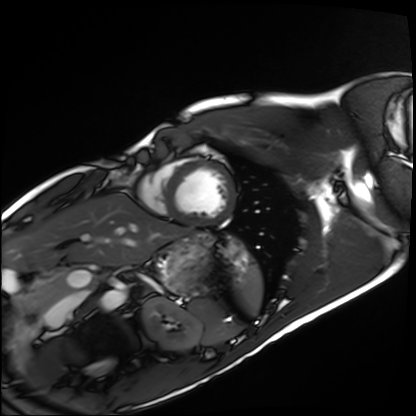
* modality · cardiac MRI
* subject group · healthy volunteer